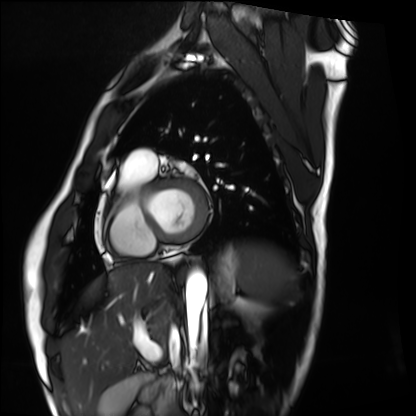
Q: What kind of scan is this?
A: Cardiac MRI.
Subject group: healthy volunteer.